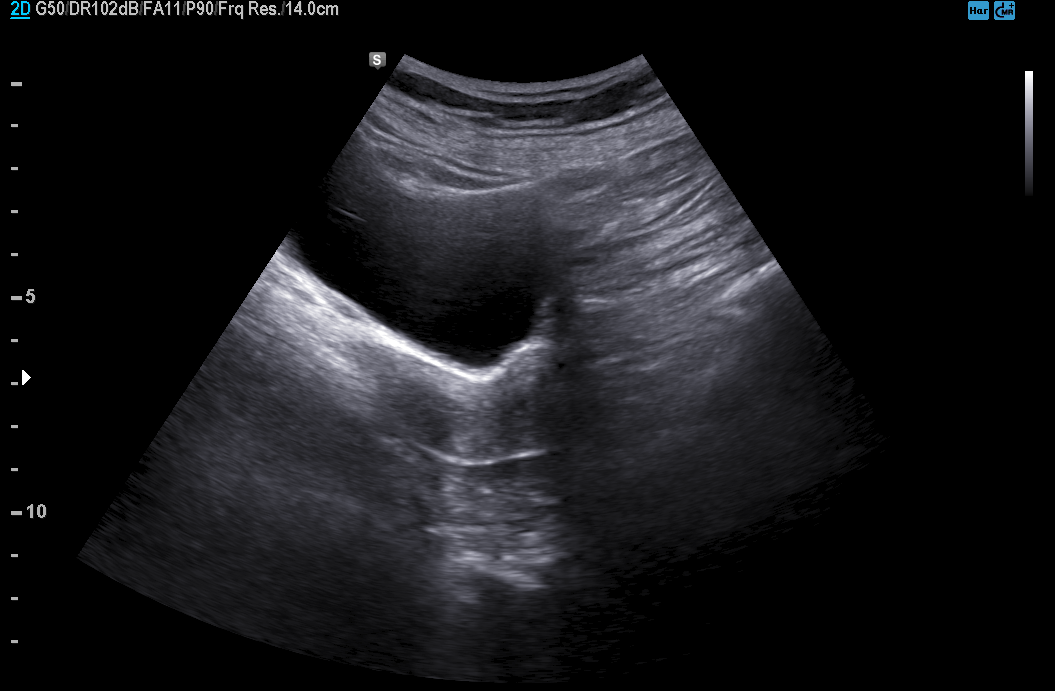
Genitourinary ultrasound.